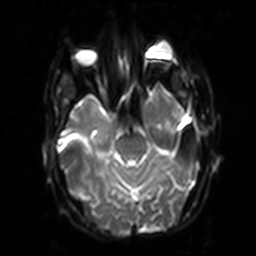
3 Tesla brain MRI.
Series: diffusion-weighted imaging with SENSE (WIP).
Study: ring-enhancing brain masses.